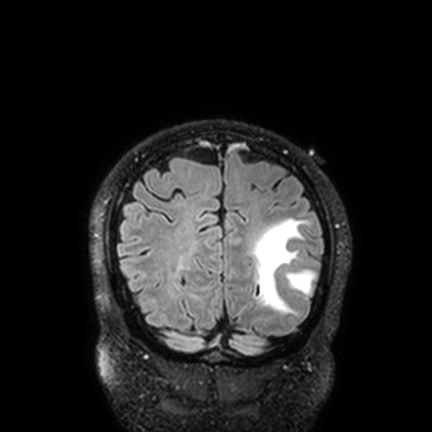
Clinical context:
3 Tesla brain MRI. Series: FLAIR VISTA with SENSE. Study: ring-enhancing brain masses.